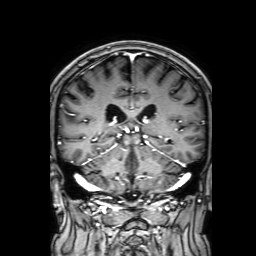
modality: 3 Tesla brain MRI | series: 3D T1-weighted with SENSE | study: ring-enhancing brain masses.